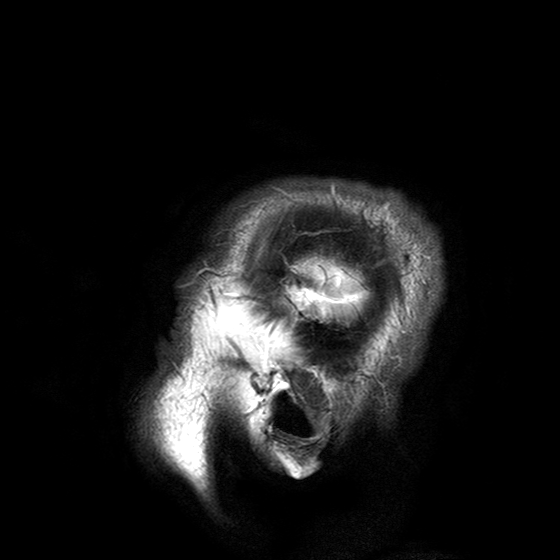
3 Tesla brain MRI. Series: T2-weighted turbo spin echo with SENSE. Study: ring-enhancing brain masses.